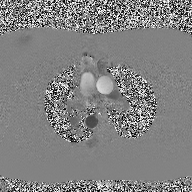
Q: What kind of scan is this?
A: 2D phase-contrast cine MRI of the ascending aorta.